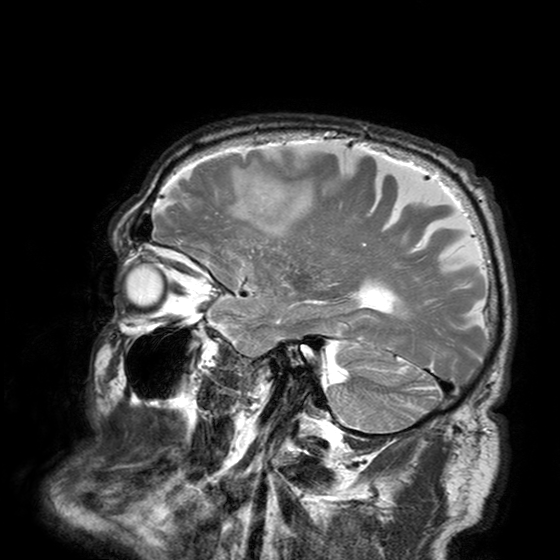
| field | value |
|---|---|
| modality | 3 Tesla brain MRI |
| series | T2-weighted turbo spin echo with SENSE |
| study | ring-enhancing brain masses |